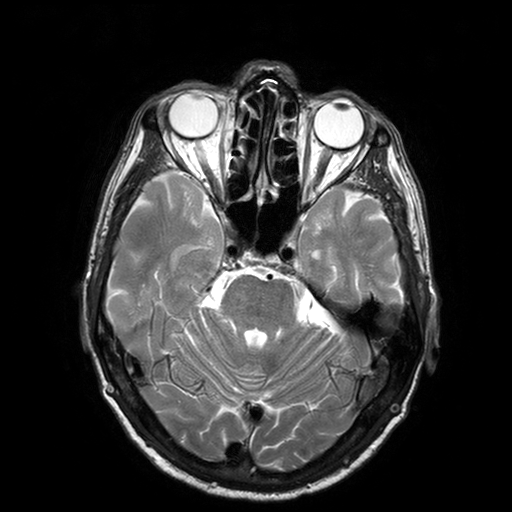
modality:
  type: brain MRI
  field_strength: 3T
series: T2-weighted turbo spin echo with SENSE
study_topic: ring-enhancing brain masses